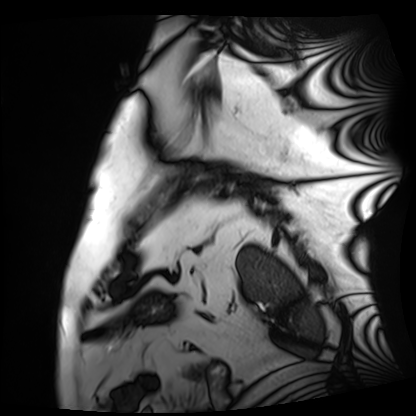
Summary:
Cardiac MRI. Subject group: patient.